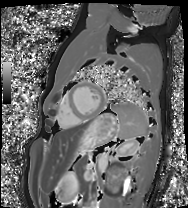
| field | value |
|---|---|
| modality | cardiac MRI |
| subject group | healthy volunteer |